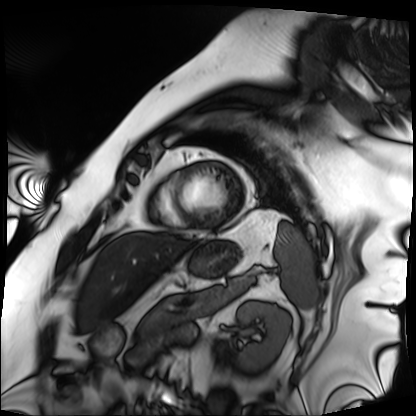
modality = cardiac MRI; subject group = patient.